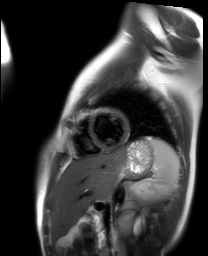
Cardiac MR image of the myocardium. Subject cohort: healthy volunteer.